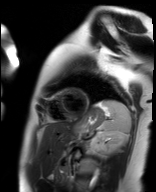
{
  "modality": "cardiac MR image of the myocardium",
  "cohort": "healthy volunteer"
}